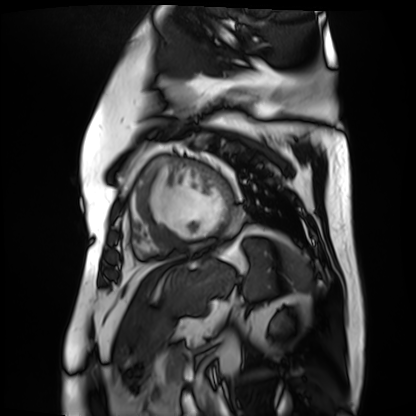
Clinical context: Cardiac MR image of the myocardium. Subject cohort: cardiac patient.